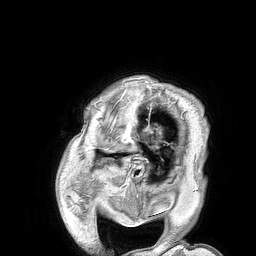
modality: 3 Tesla brain MRI
series: 3D T1-weighted turbo field echo
study: ring-enhancing brain masses